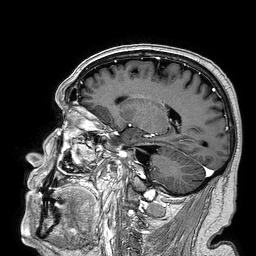
Clinical context:
3 Tesla brain MRI. Series: 3D T1-weighted turbo field echo. Study: ring-enhancing brain masses.